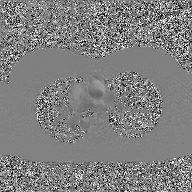
Q: What kind of scan is this?
A: 2D phase-contrast cine MRI of the ascending aorta, GAN super-resolution reconstruction.